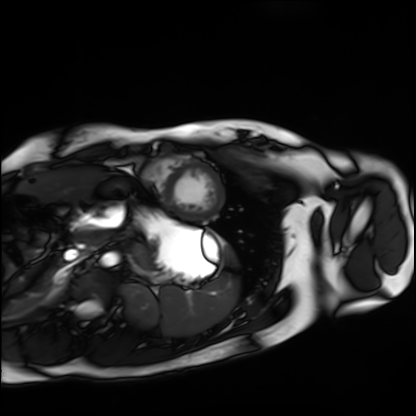
modality: cardiac MRI; subject group: healthy volunteer.